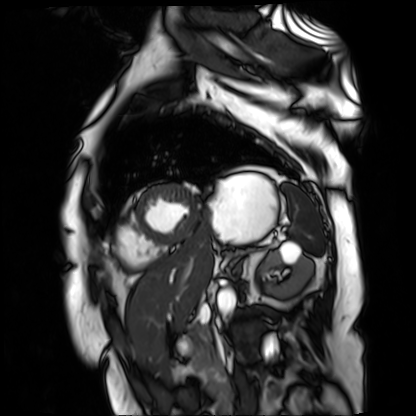
Cardiac MR image of the myocardium. Subject cohort: cardiac patient.